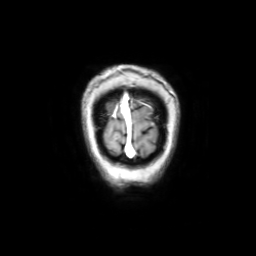
Summary: 3 Tesla brain MRI. Series: coronal with contrast. Study: ring-enhancing brain masses.